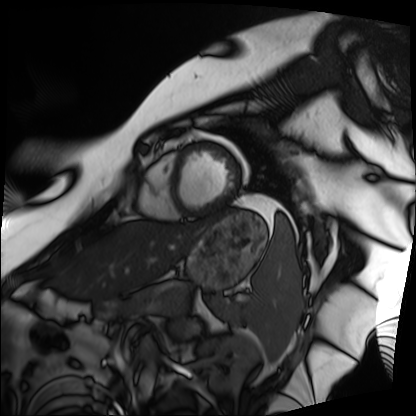
{
  "modality": "cardiac MRI",
  "cohort": "patient"
}